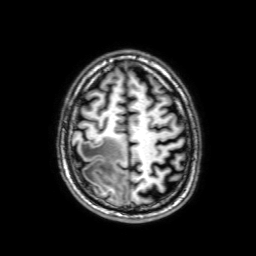
| field | value |
|---|---|
| modality | 3 Tesla brain MRI |
| series | 3D T1-weighted with SENSE |
| study | ring-enhancing brain masses |